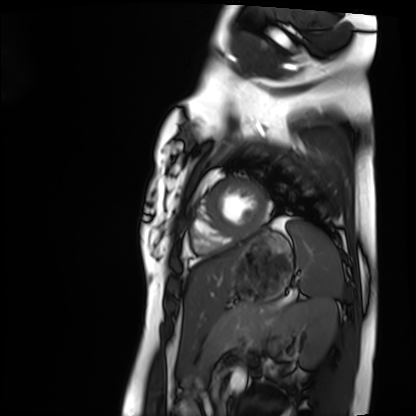
modality: cardiac MRI; subject group: healthy volunteer.